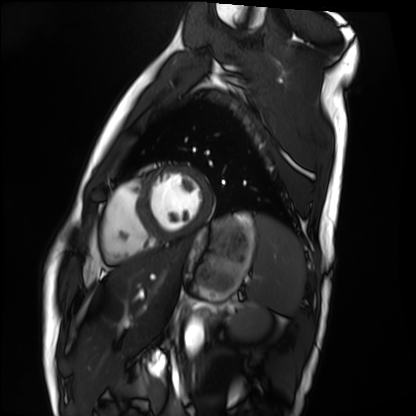
Cardiac MRI.
Subject group: healthy volunteer.